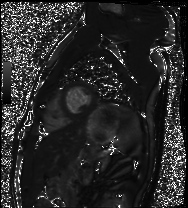
Cardiac MRI.
Subject group: healthy volunteer.